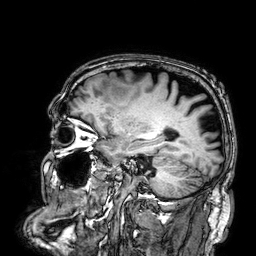
3 Tesla brain MRI. Series: 3D T1-weighted. Study: ring-enhancing brain masses.